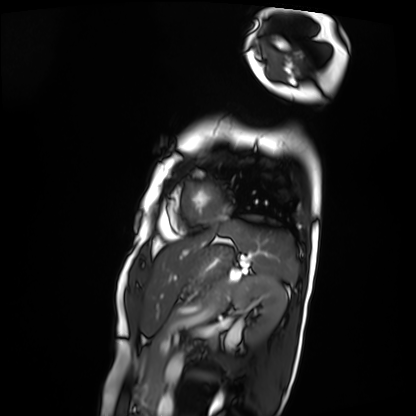
Case:
– modality: cardiac MRI
– subject group: patient